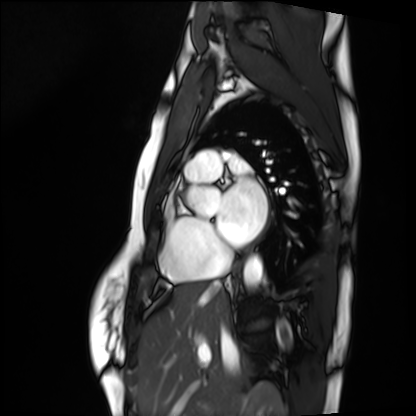
Summary: Cardiac MRI. Subject group: healthy volunteer.